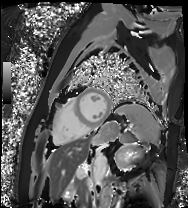
Cardiac MRI. Subject group: patient.